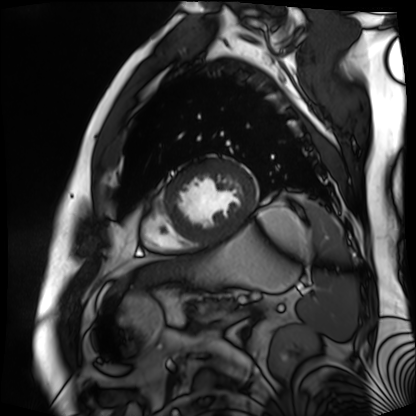
<study>
<modality>cardiac MR image of the myocardium</modality>
<cohort>cardiac patient</cohort>
</study>